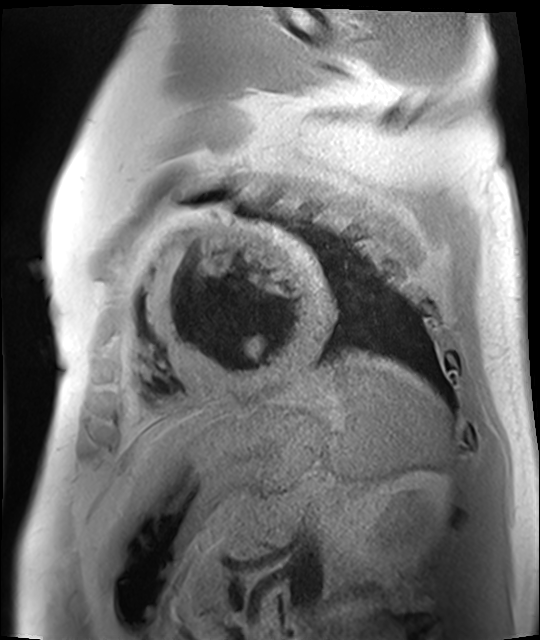
Q: What kind of scan is this?
A: Cardiac MR image of the myocardium.
Subject cohort: cardiac patient.